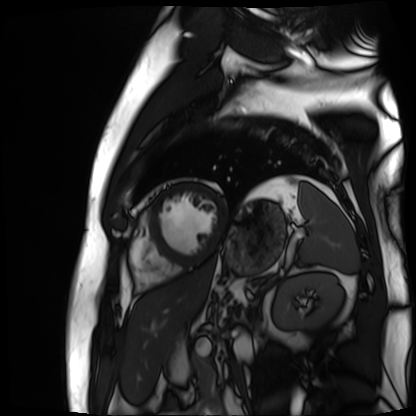
Case:
• modality: cardiac MR image of the myocardium
• subject cohort: cardiac patient